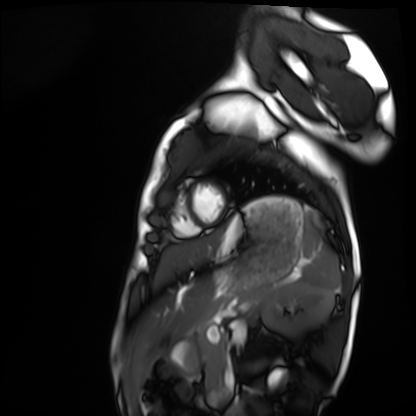
Case summary: Cardiac MRI. Subject group: healthy volunteer.